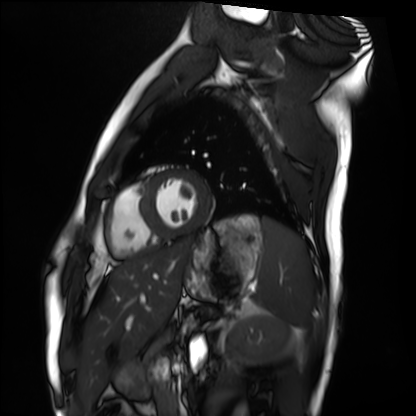
{
  "modality": "cardiac MRI",
  "cohort": "healthy volunteer"
}